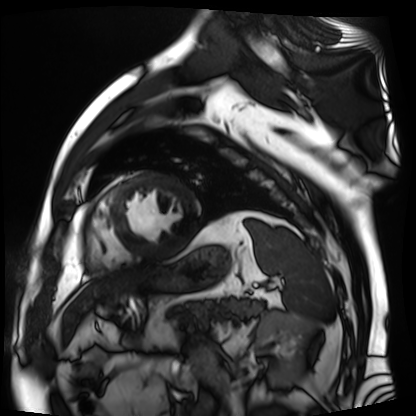
Q: What kind of scan is this?
A: Cardiac MR image of the myocardium.
Subject cohort: cardiac patient.